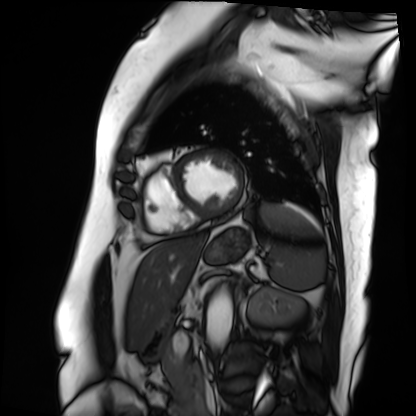
{
  "modality": "cardiac MRI",
  "cohort": "patient"
}